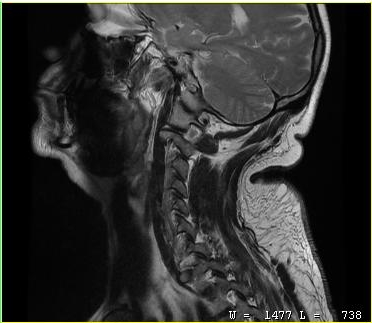
MRI of the cervical spine.
Study: cervical spondylosis.